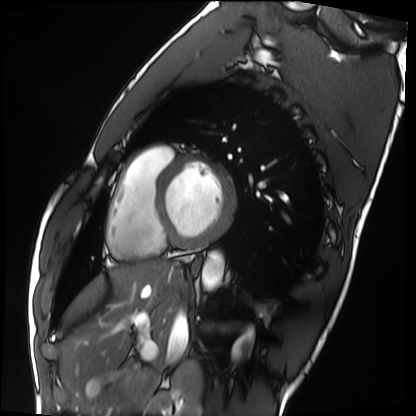
Q: What kind of scan is this?
A: Cardiac MRI.
Subject group: healthy volunteer.